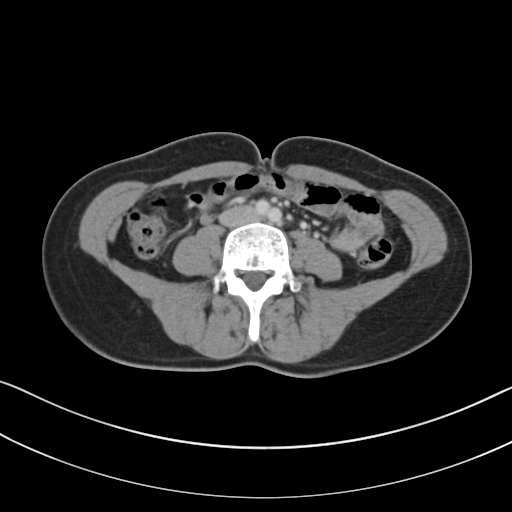
modality — multiphase abdominal CT, liver, portal venous phase
patient — female, age 40